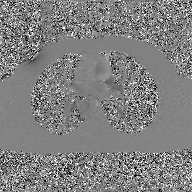
Summary: 2D phase-contrast cine MRI of the ascending aorta, GAN super-resolution reconstruction.